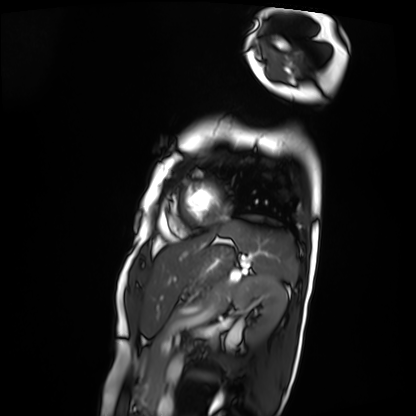
modality: cardiac MRI, subject group: patient.